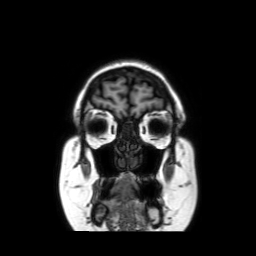
Q: What kind of scan is this?
A: 3 Tesla brain MRI.
Q: Series?
A: Coronal without contrast.
Study: ring-enhancing brain masses.